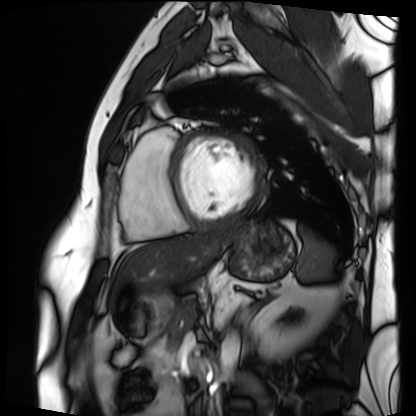
- modality — cardiac MRI
- subject group — patient